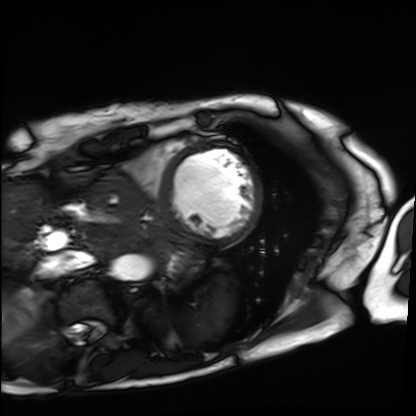
| field | value |
|---|---|
| modality | cardiac MRI |
| subject group | patient |